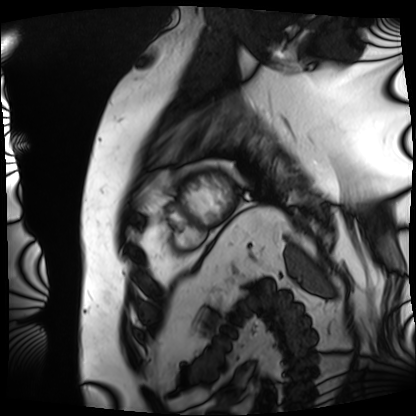
Cardiac MRI. Subject group: patient.